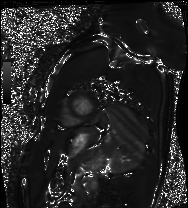
| field | value |
|---|---|
| modality | cardiac MRI |
| subject group | healthy volunteer |